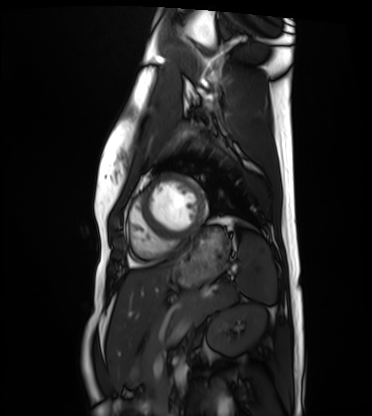
– modality — cardiac MRI
– subject group — healthy volunteer